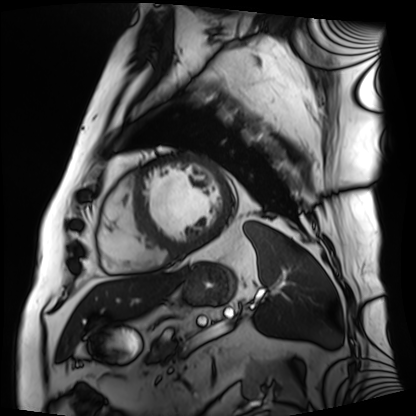
  modality: cardiac MRI
  cohort: patient